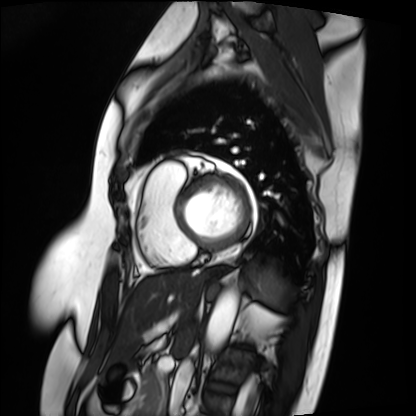
Case:
* modality · cardiac MRI
* subject group · patient